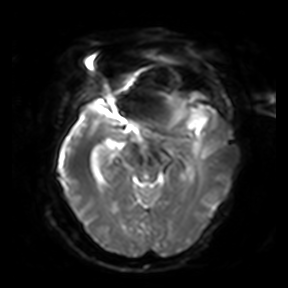
modality:
  type: brain MRI
  field_strength: 3T
study_topic: ring-enhancing brain masses